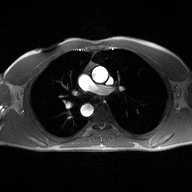
| field | value |
|---|---|
| modality | 2D phase-contrast cine MRI of the ascending aorta |